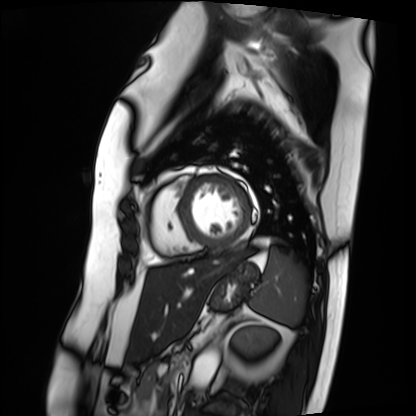
Cardiac MRI. Subject group: patient.